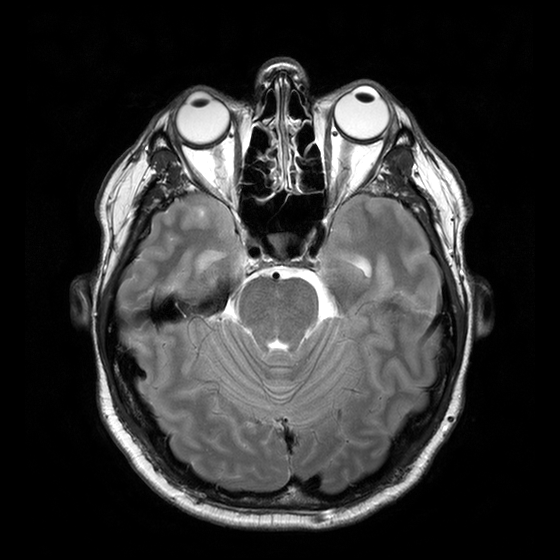
3 Tesla brain MRI.
Series: T2-weighted turbo spin echo with CLEAR.
Study: ring-enhancing brain masses.